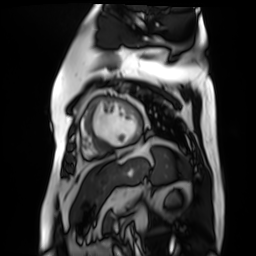
Cardiac MR image of the myocardium. Subject cohort: cardiac patient.